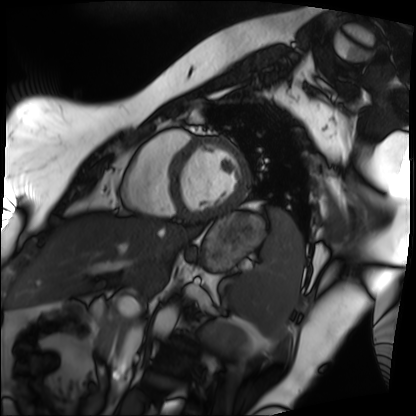
Summary: Cardiac MRI. Subject group: patient.